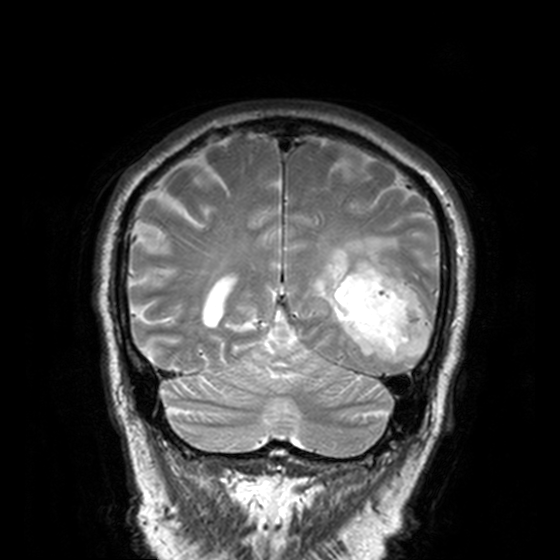
3 Tesla brain MRI.
Series: T2-weighted turbo spin echo, 3 mm.
Study: ring-enhancing brain masses.